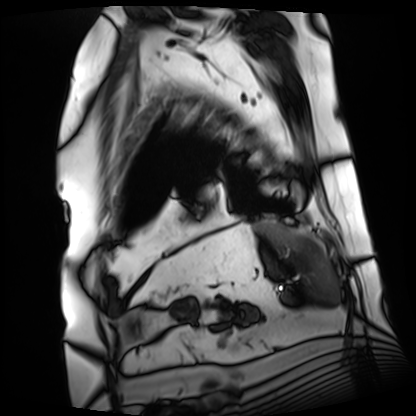
modality: cardiac MRI; subject group: patient.